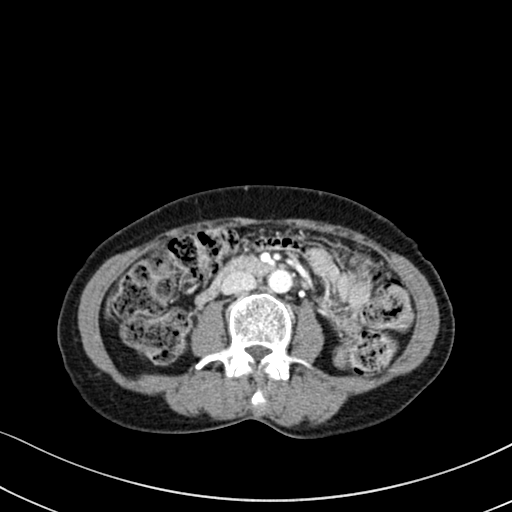
| field | value |
|---|---|
| modality | multiphase abdominal CT, liver, portal venous phase |
| patient | female, age 58 |
| history | prior chemotherapy |